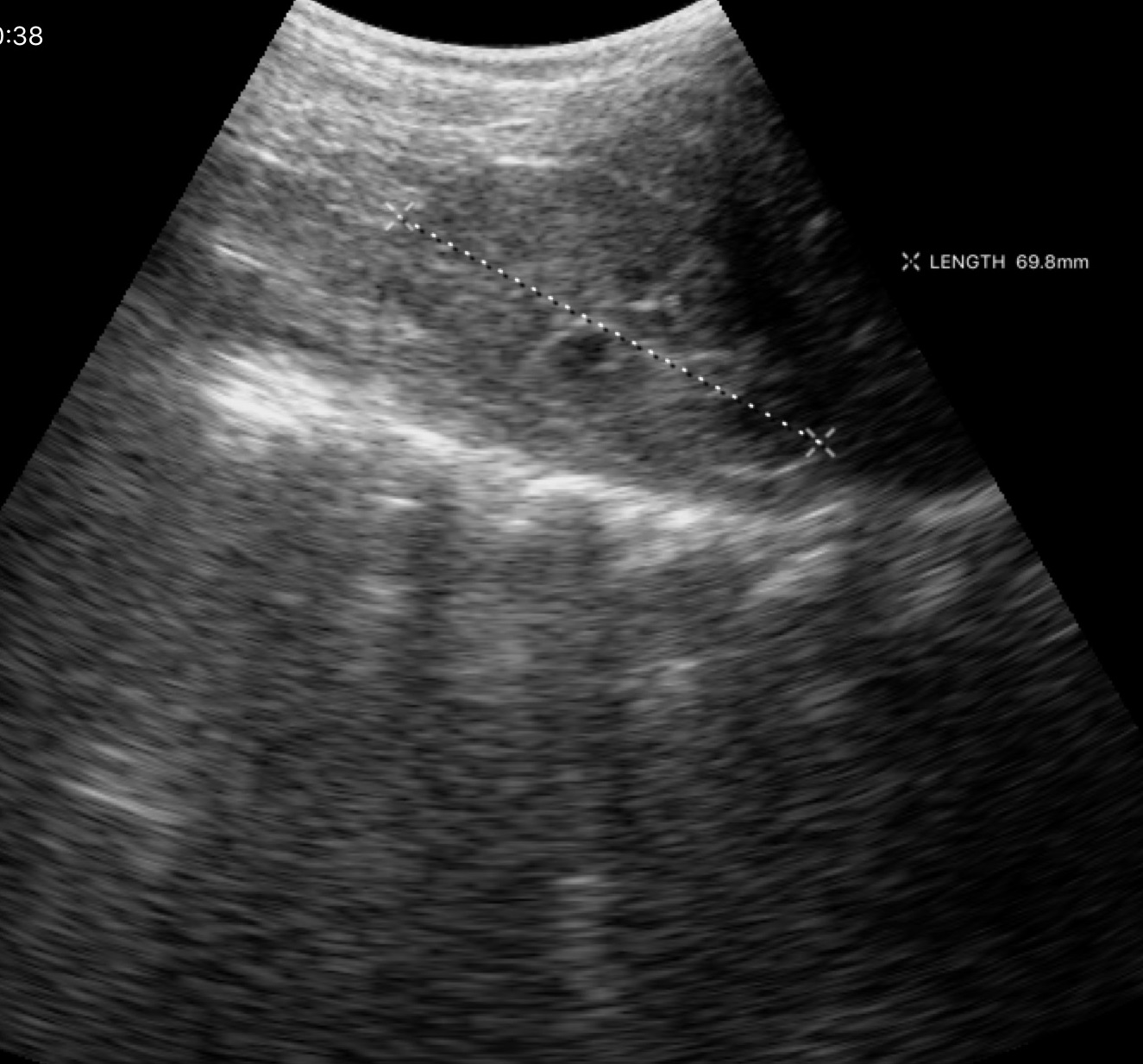
| field | value |
|---|---|
| modality | genitourinary ultrasound |